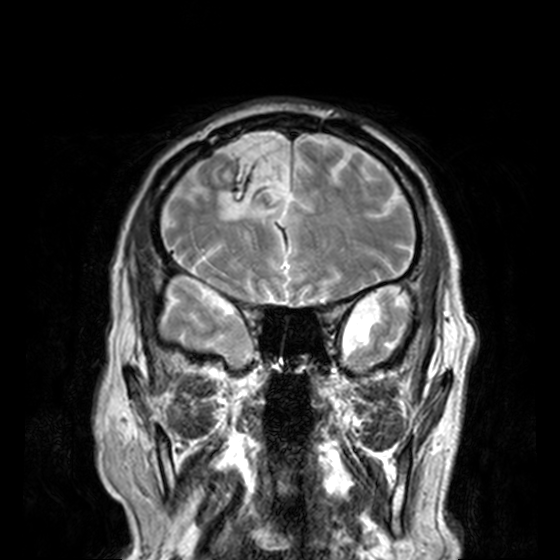
{
  "modality": {
    "type": "brain MRI",
    "field_strength": "3T"
  },
  "series": "T2-weighted turbo spin echo, 3 mm",
  "study_topic": "ring-enhancing brain masses"
}